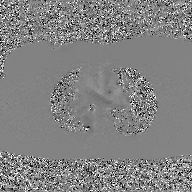
2D phase-contrast cine MRI of the ascending aorta, GAN super-resolution reconstruction.